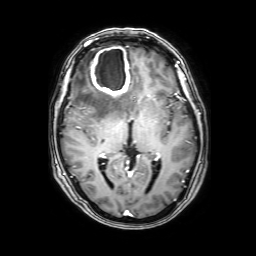
Clinical context: 3 Tesla brain MRI. Series: 3D T1-weighted with SENSE. Study: ring-enhancing brain masses.